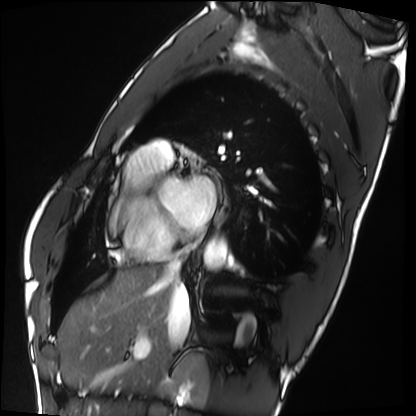
modality: cardiac MRI; subject group: healthy volunteer.